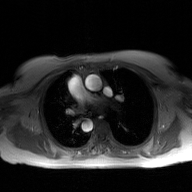
2D phase-contrast cine MRI of the ascending aorta, GAN super-resolution reconstruction.